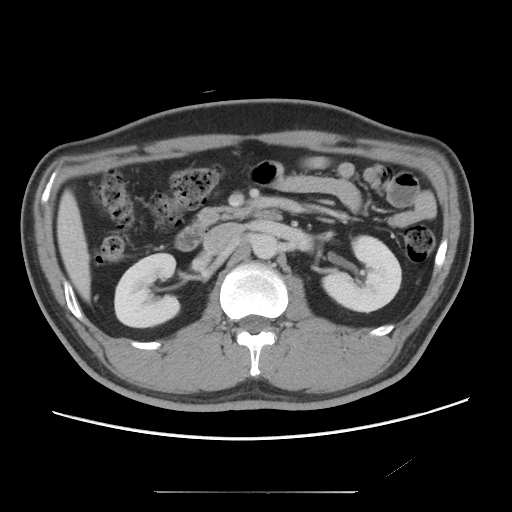
Multiphase abdominal CT, liver, portal venous phase. Patient: male, age 37.